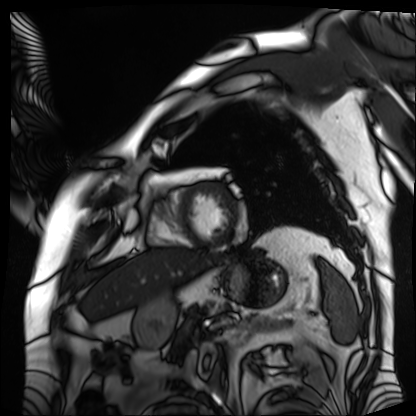
Cardiac MRI.
Subject group: patient.